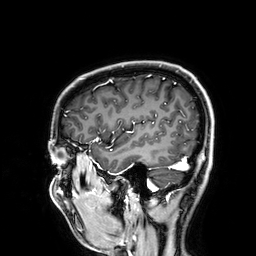
3 Tesla brain MRI. Series: 3D T1-weighted. Study: ring-enhancing brain masses.